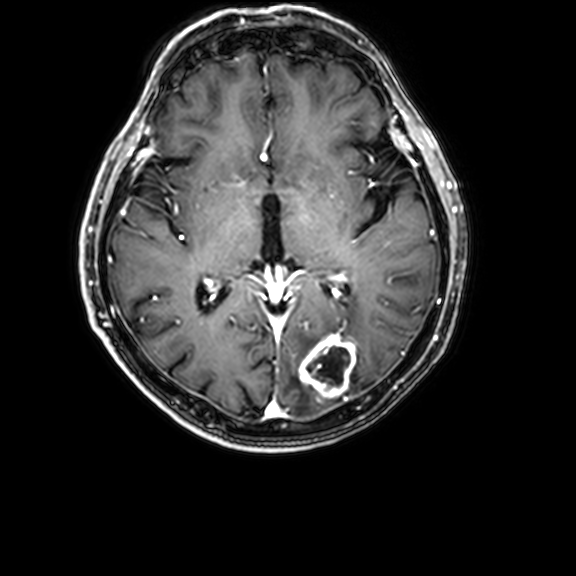
Case:
* modality · 3 Tesla brain MRI
* series · 3D T1-weighted with CLEAR
* study · ring-enhancing brain masses